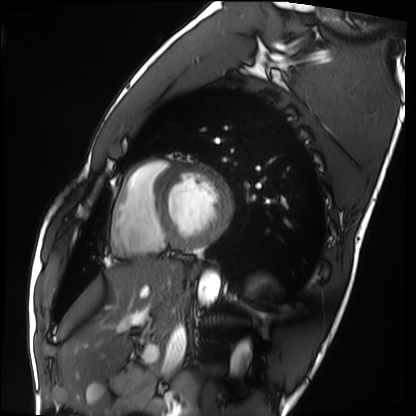
Case:
* modality · cardiac MRI
* subject group · healthy volunteer